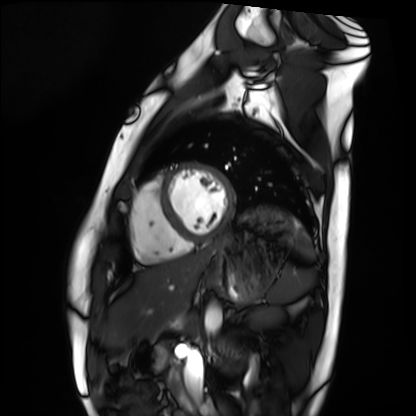
modality: cardiac MRI
cohort: healthy volunteer